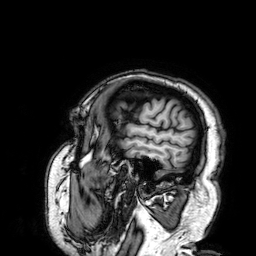
3 Tesla brain MRI.
Study: ring-enhancing brain masses.